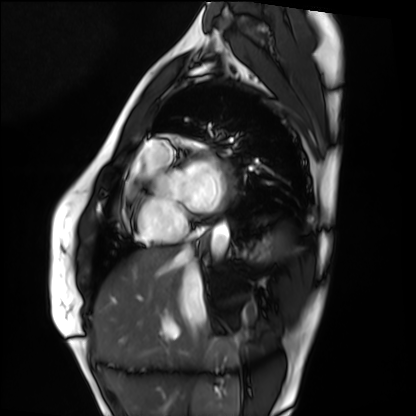
modality = cardiac MRI
subject group = healthy volunteer